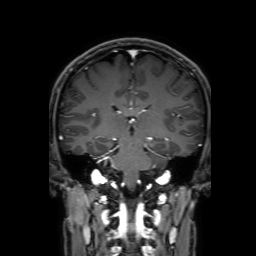
3 Tesla brain MRI. Study: ring-enhancing brain masses.